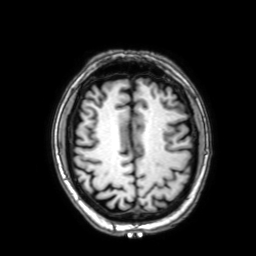
3 Tesla brain MRI. Series: 3D T1-weighted with SENSE. Study: ring-enhancing brain masses.